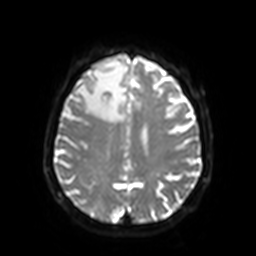
3 Tesla brain MRI.
Series: diffusion-weighted imaging with SENSE (WIP).
Study: ring-enhancing brain masses.